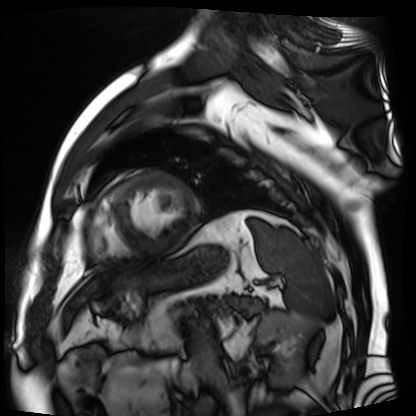
modality: cardiac MR image of the myocardium | subject cohort: cardiac patient.